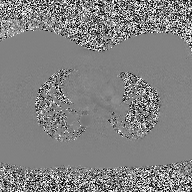
Case summary:
2D phase-contrast cine MRI of the ascending aorta, high-resolution GRAPPA acquisition.